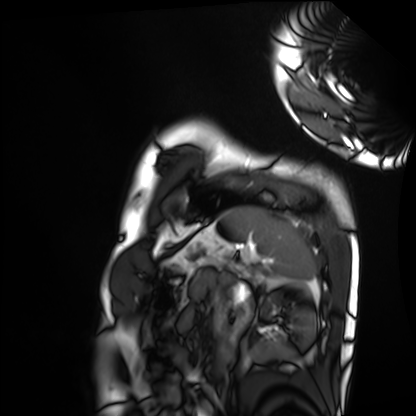
| field | value |
|---|---|
| modality | cardiac MRI |
| subject group | healthy volunteer |